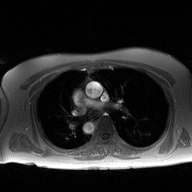
modality — 2D phase-contrast cine MRI of the ascending aorta.